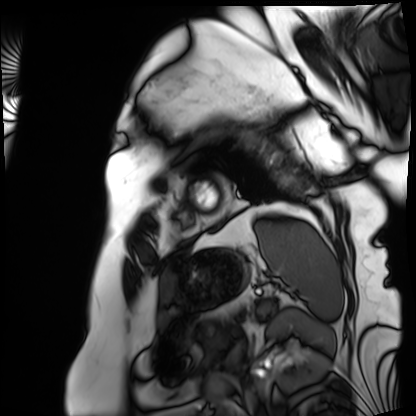
- modality · cardiac MRI
- subject group · patient